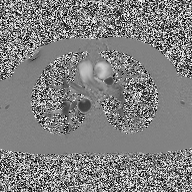
{"modality": {"type": "2D phase-contrast cine MRI", "region": "ascending aorta", "reconstruction": "high-resolution GRAPPA acquisition"}}